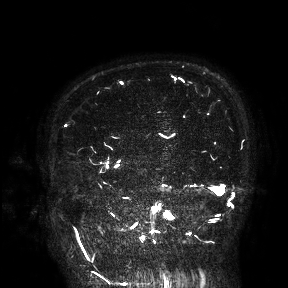
modality=3 Tesla brain MRI
study=ring-enhancing brain masses